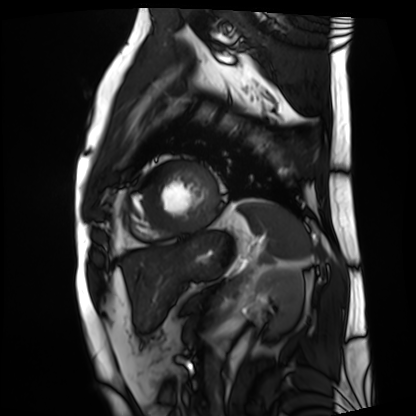
Summary:
Cardiac MRI. Subject group: patient.